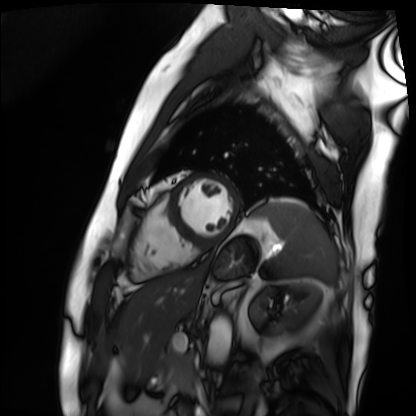
Q: What kind of scan is this?
A: Cardiac MRI.
Subject group: patient.